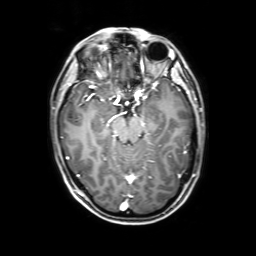
modality — 3 Tesla brain MRI
series — 3D T1-weighted with SENSE
study — ring-enhancing brain masses